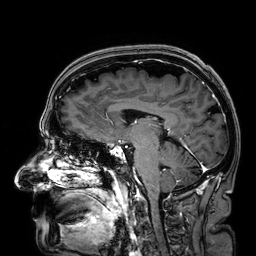
<scan>
  <modality>
    <type>brain MRI</type>
    <field_strength>3T</field_strength>
  </modality>
  <series>3D T1-weighted</series>
  <study_topic>ring-enhancing brain masses</study_topic>
</scan>